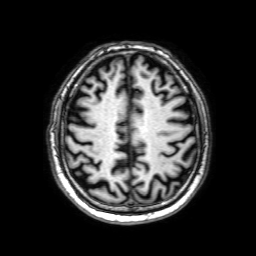
Q: What kind of scan is this?
A: 3 Tesla brain MRI.
Q: Series?
A: 3D T1-weighted with SENSE.
Study: ring-enhancing brain masses.